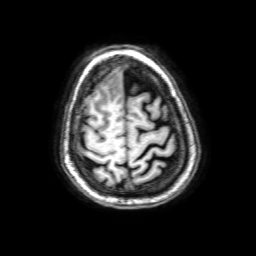
- modality · 3 Tesla brain MRI
- series · 3D T1-weighted with SENSE
- study · ring-enhancing brain masses